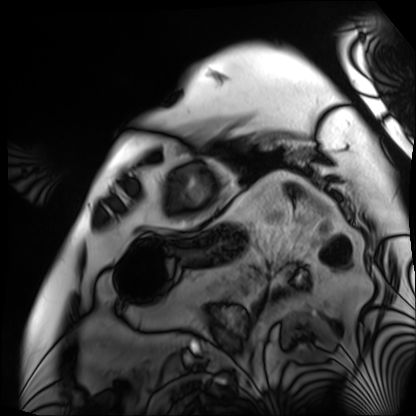
{
  "modality": "cardiac MRI",
  "cohort": "patient"
}